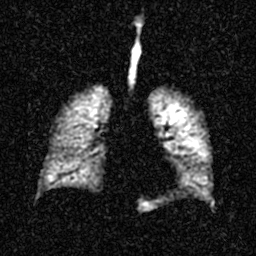
Hyperpolarized 129Xe ventilation MRI of the lungs.